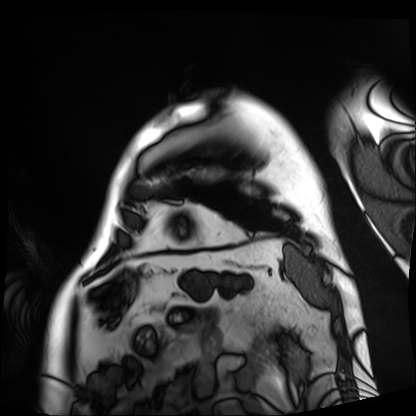
Q: What kind of scan is this?
A: Cardiac MRI.
Subject group: patient.